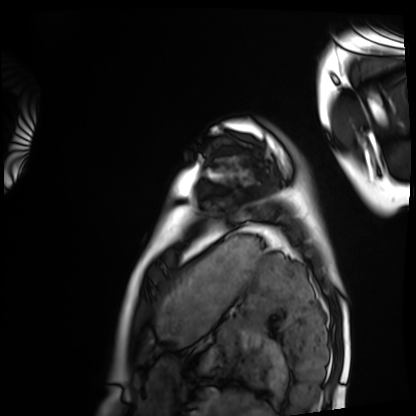
Cardiac MRI. Subject group: healthy volunteer.